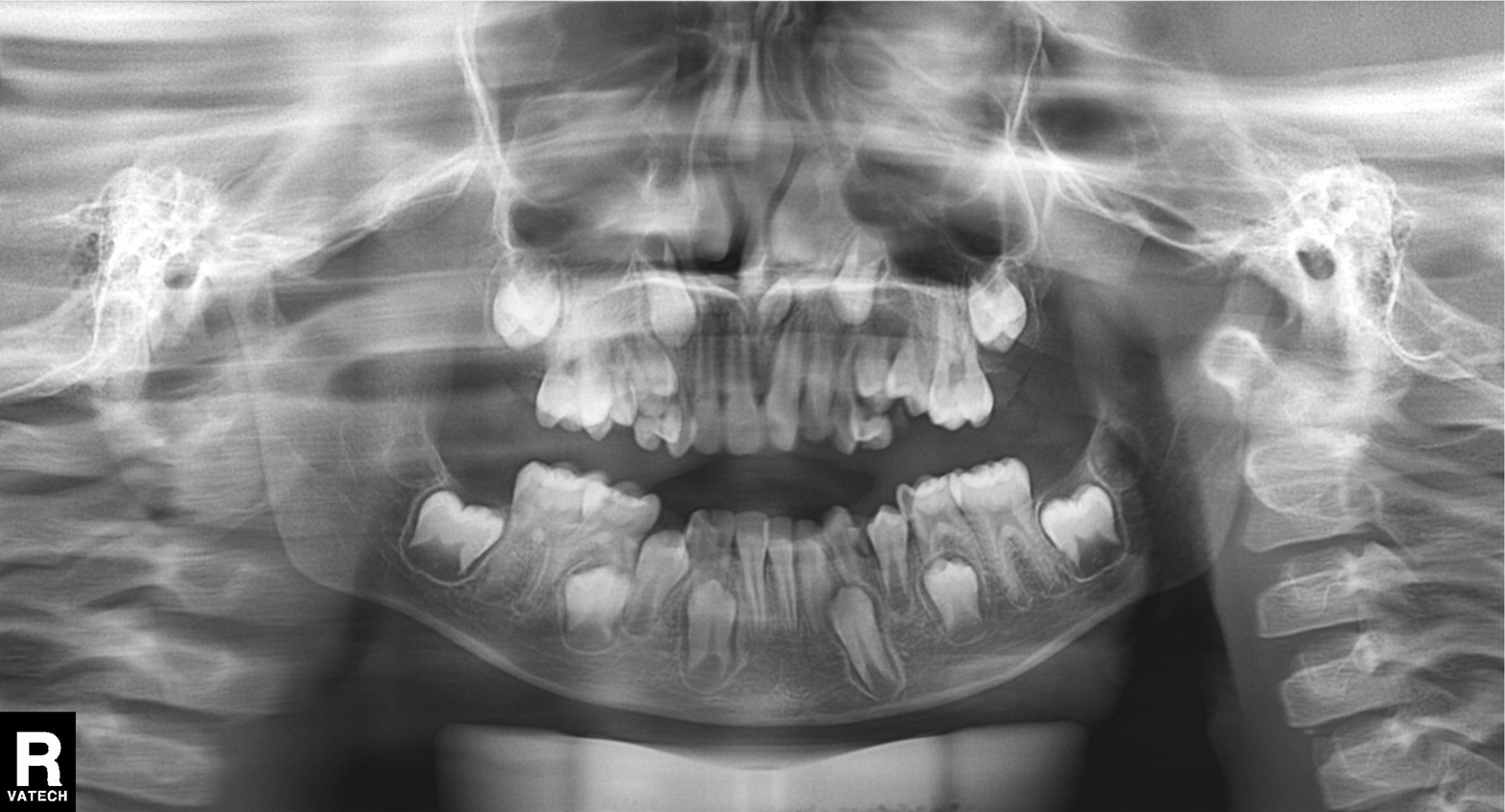
Panoramic dental radiograph (orthopantomogram).
Finding: tooth impaction.